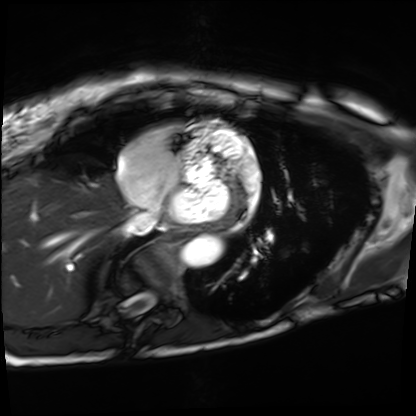
modality: cardiac MRI
cohort: patient